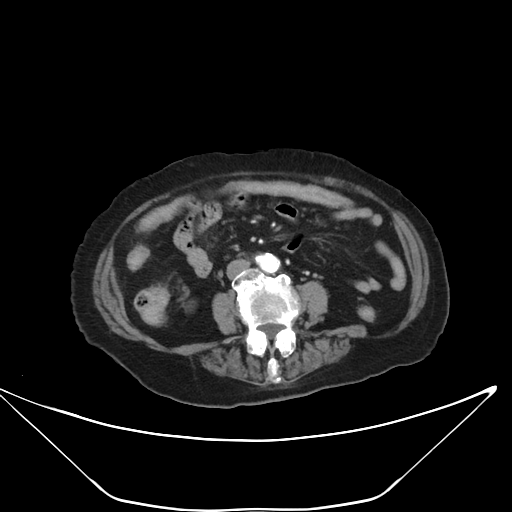
Q: What kind of scan is this?
A: Multiphase abdominal CT, liver, arterial phase.
Q: Patient?
A: Female, age 86.